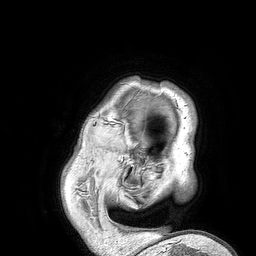
Case:
- modality: 3 Tesla brain MRI
- series: 3D T1-weighted turbo field echo
- study: ring-enhancing brain masses